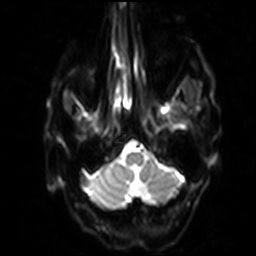
Q: What kind of scan is this?
A: 3 Tesla brain MRI.
Q: Series?
A: Diffusion-weighted imaging with SENSE (WIP).
Study: ring-enhancing brain masses.